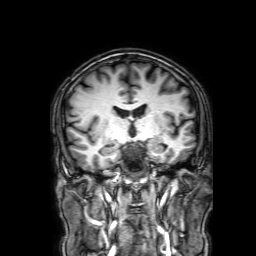
3 Tesla brain MRI.
Series: 3D T1-weighted with SENSE.
Study: ring-enhancing brain masses.